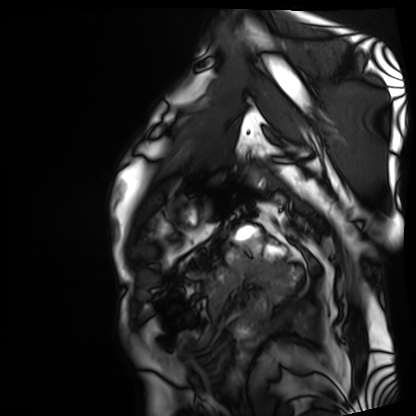
Cardiac MRI. Subject group: patient.